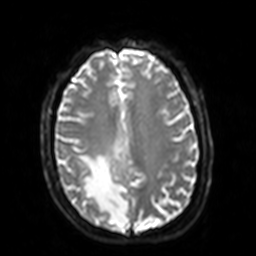
Clinical context: 3 Tesla brain MRI. Series: diffusion-weighted imaging with SENSE (WIP). Study: ring-enhancing brain masses.